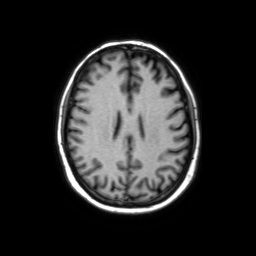
* modality — 3 Tesla brain MRI
* series — axial without contrast
* study — ring-enhancing brain masses